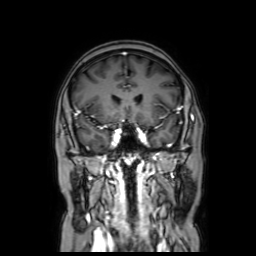
Summary: 3 Tesla brain MRI. Series: coronal with contrast. Study: ring-enhancing brain masses.